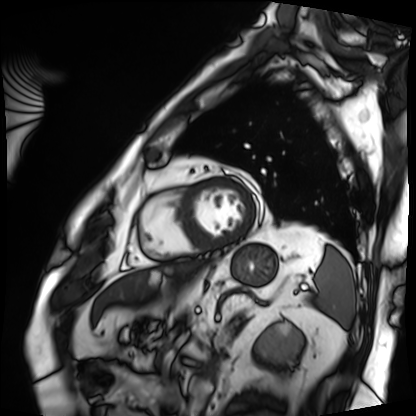
Q: What kind of scan is this?
A: Cardiac MRI.
Subject group: patient.